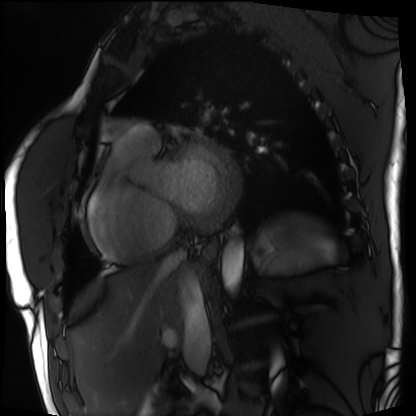
* modality · cardiac MRI
* subject group · patient